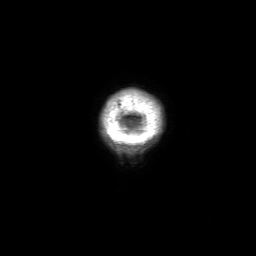
3 Tesla brain MRI.
Series: 3D T1-weighted with SENSE.
Study: ring-enhancing brain masses.